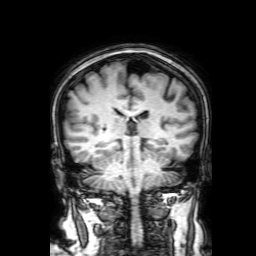
modality = 3 Tesla brain MRI | series = 3D T1-weighted with SENSE | study = ring-enhancing brain masses.